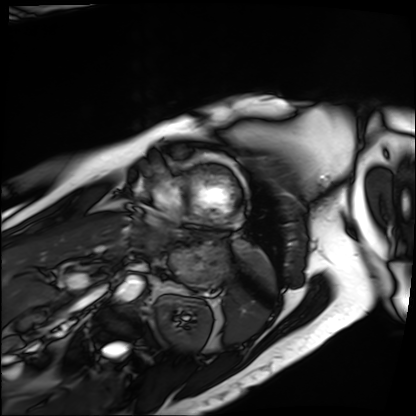
modality=cardiac MRI
subject group=patient